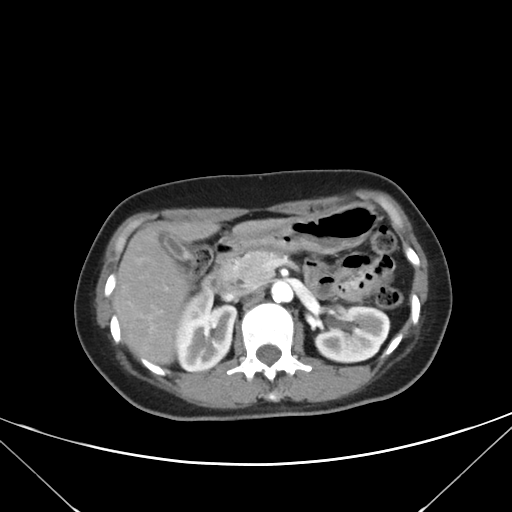
Summary: Multiphase abdominal CT, liver, arterial phase. Patient: female, age 45.